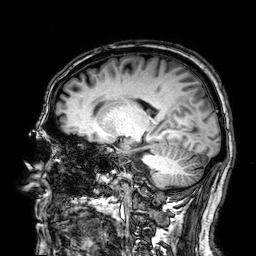
Q: What kind of scan is this?
A: 3 Tesla brain MRI.
Q: Series?
A: 3D T1-weighted.
Study: ring-enhancing brain masses.